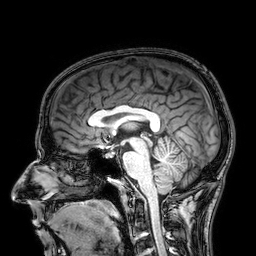
modality — 3 Tesla brain MRI; series — 3D T1-weighted; study — ring-enhancing brain masses.